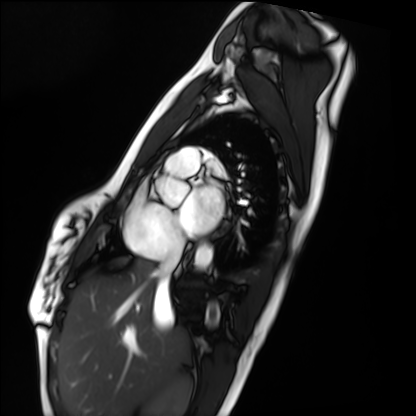
Case summary: Cardiac MRI. Subject group: healthy volunteer.